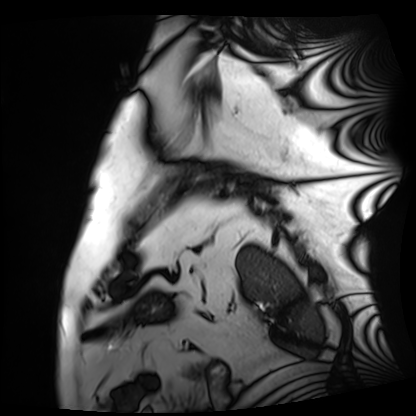
Case:
– modality · cardiac MRI
– subject group · patient